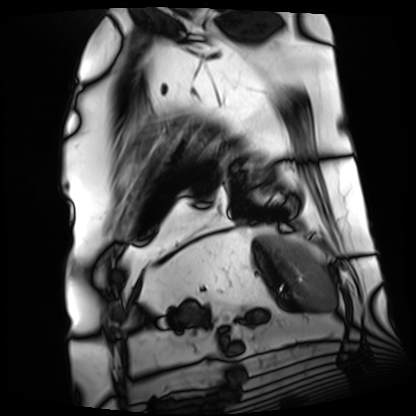
modality = cardiac MRI; subject group = patient.